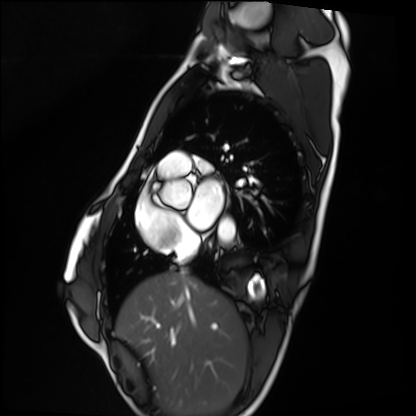
Cardiac MRI. Subject group: healthy volunteer.